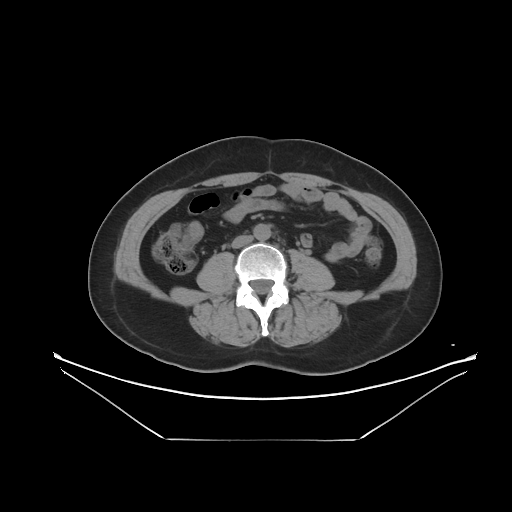
  modality:
    type: multiphase abdominal CT
    region: liver
    phase: non-contrast
  patient:
    sex: female
    age: 56